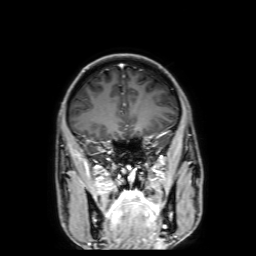
3 Tesla brain MRI.
Series: 3D T1-weighted with SENSE.
Study: ring-enhancing brain masses.